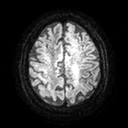
modality = 3 Tesla brain MRI
study = ring-enhancing brain masses